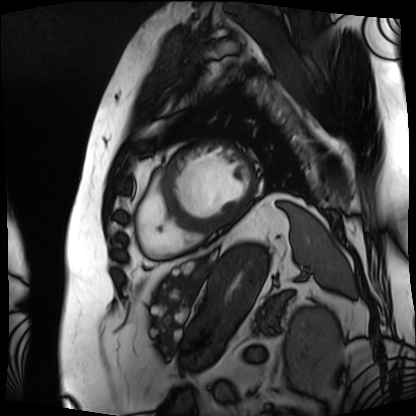
* modality: cardiac MRI
* subject group: patient